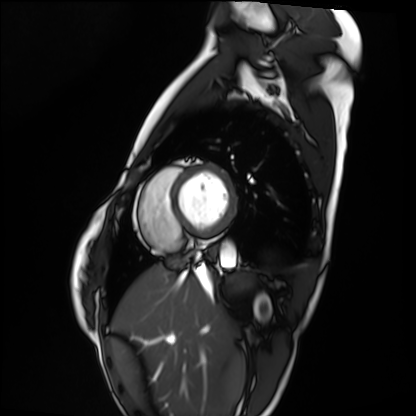
Cardiac MRI. Subject group: healthy volunteer.